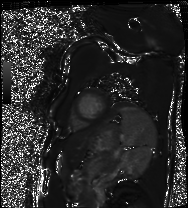
Summary:
Cardiac MRI. Subject group: patient.